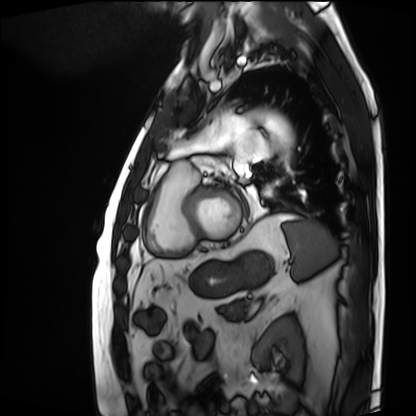
Case summary: Cardiac MRI. Subject group: patient.